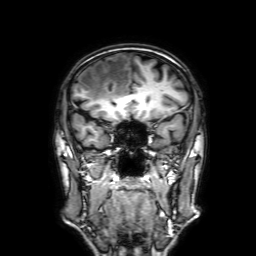
Clinical context: 3 Tesla brain MRI. Series: 3D T1-weighted with SENSE. Study: ring-enhancing brain masses.